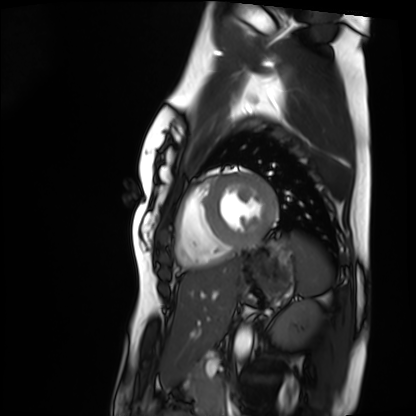
Cardiac MRI. Subject group: healthy volunteer.